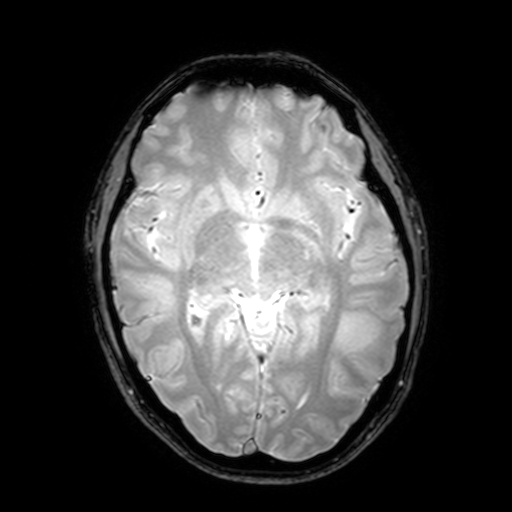
modality = 3 Tesla brain MRI; study = ring-enhancing brain masses.